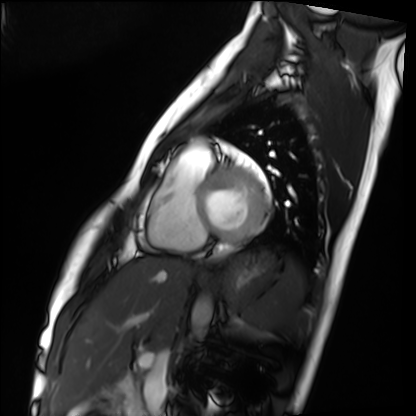
Cardiac MRI.
Subject group: healthy volunteer.